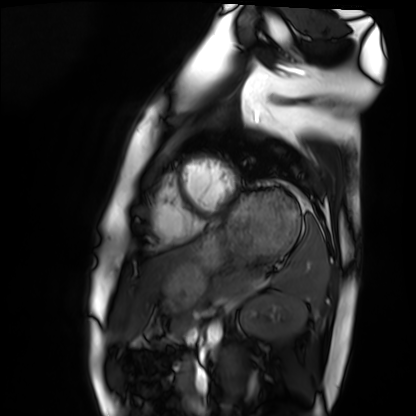
Q: What kind of scan is this?
A: Cardiac MRI.
Subject group: healthy volunteer.